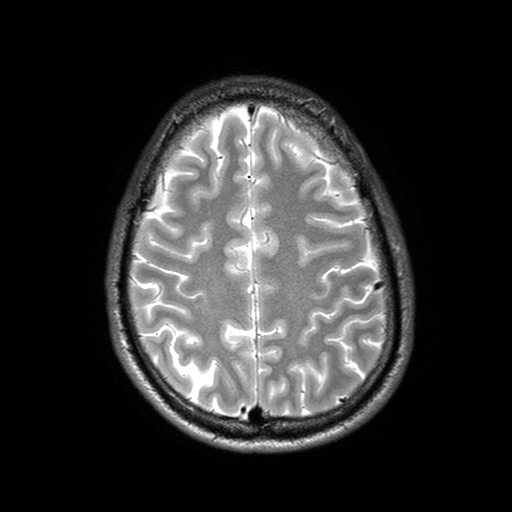
modality: 3 Tesla brain MRI; series: T2-weighted turbo spin echo with SENSE; study: ring-enhancing brain masses.